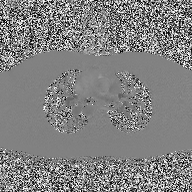
Clinical context:
2D phase-contrast cine MRI of the ascending aorta, high-resolution GRAPPA acquisition.